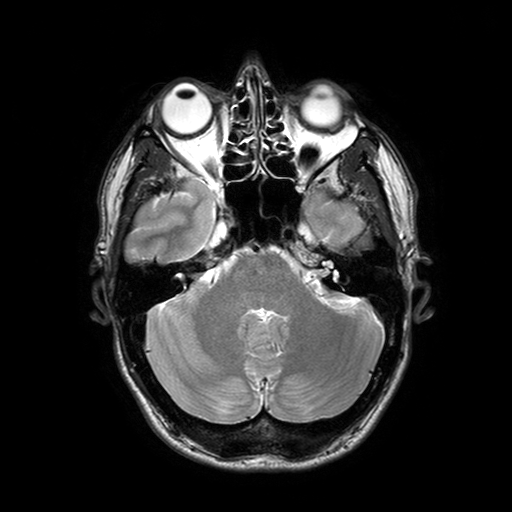
modality: 3 Tesla brain MRI
series: T2-weighted turbo spin echo with SENSE
study: ring-enhancing brain masses